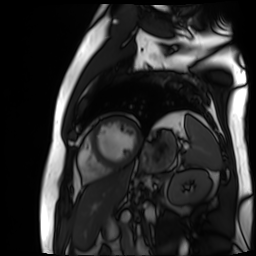
Case:
– modality: cardiac MR image of the myocardium
– subject cohort: cardiac patient